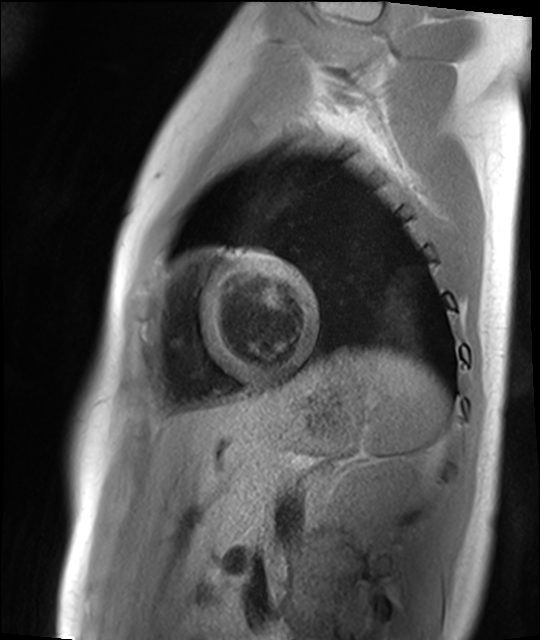
- modality — cardiac MR image of the myocardium
- subject cohort — healthy volunteer